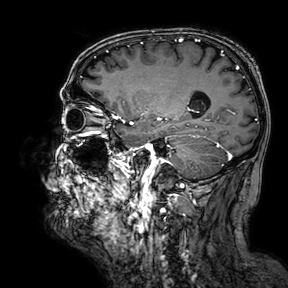
3 Tesla brain MRI. Series: 3D T1-weighted turbo field echo with SENSE. Study: ring-enhancing brain masses.